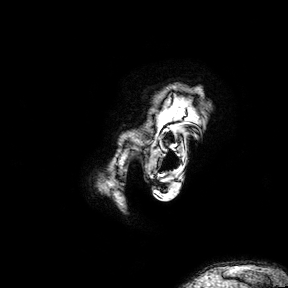
Q: What kind of scan is this?
A: 3 Tesla brain MRI.
Q: Series?
A: 3D T1-weighted turbo field echo with SENSE.
Study: ring-enhancing brain masses.